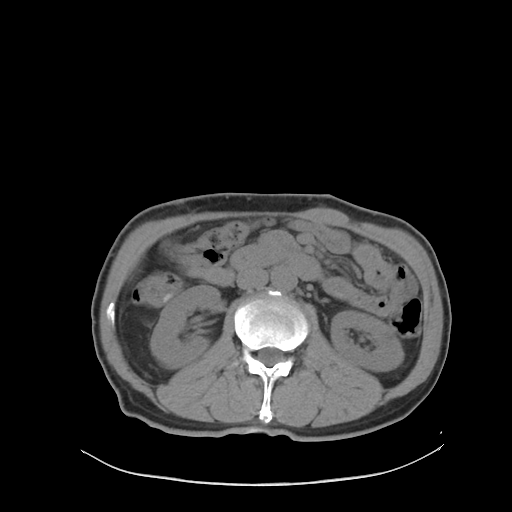
modality:
  type: multiphase abdominal CT
  region: liver
  phase: non-contrast
patient:
  sex: male
  age: 59
history:
  - viral hepatitis